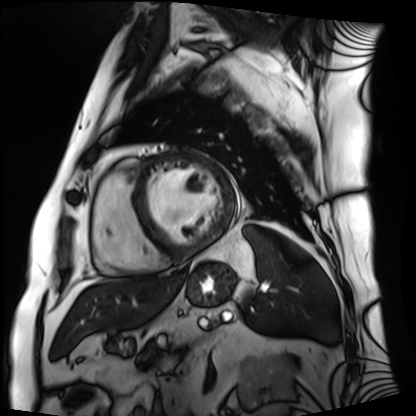
modality: cardiac MRI; subject group: patient.